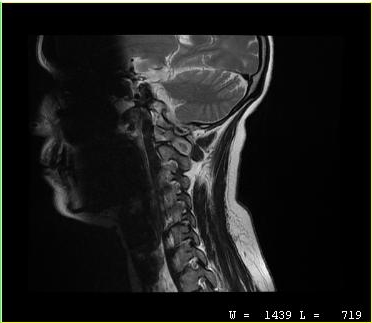
modality = MRI of the cervical spine | study = cervical spondylosis.